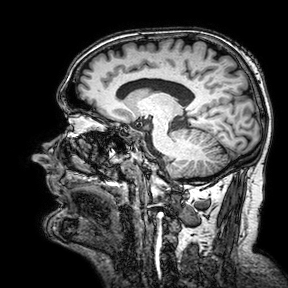
3 Tesla brain MRI. Series: 3D T1-weighted turbo field echo with SENSE. Study: ring-enhancing brain masses.